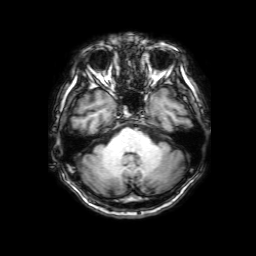
- modality — 3 Tesla brain MRI
- series — 3D T1-weighted with SENSE
- study — ring-enhancing brain masses